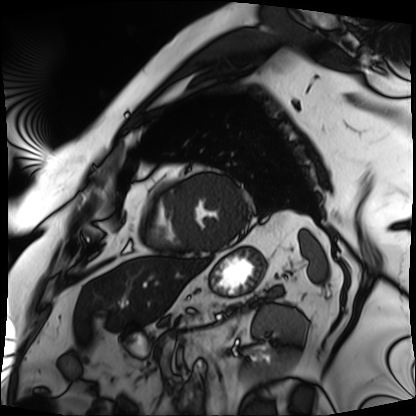
Cardiac MRI. Subject group: patient.